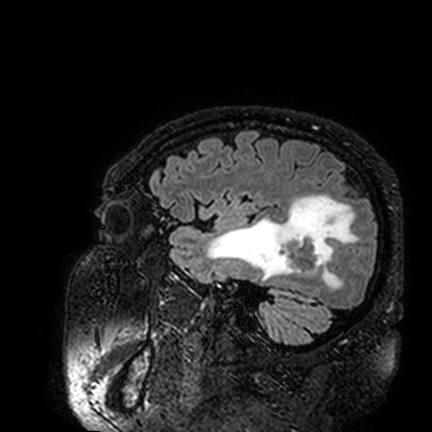
modality — 3 Tesla brain MRI; series — FLAIR VISTA; study — ring-enhancing brain masses.